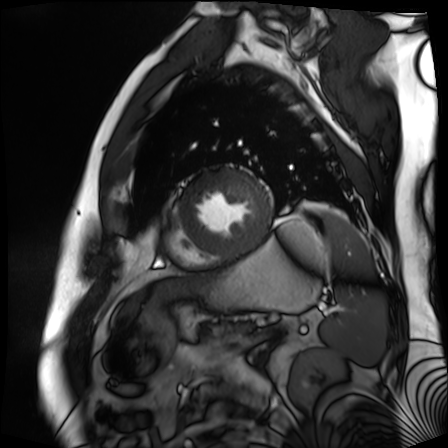
* modality · cardiac MR image of the myocardium
* subject cohort · cardiac patient